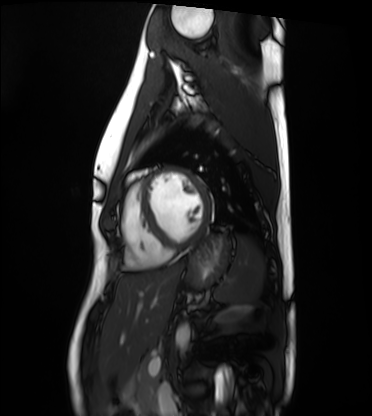
modality: cardiac MRI, subject group: healthy volunteer.